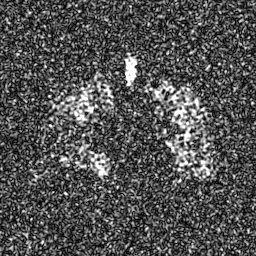
Hyperpolarized 129Xe ventilation MRI of the lungs.
SNR level 8 of 8 (the deposit holds this scan as its native image and as seven SNR-degraded versions).